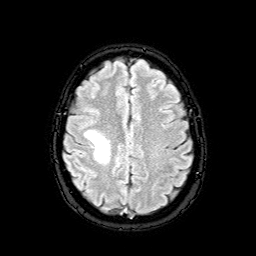
Q: What kind of scan is this?
A: 3 Tesla brain MRI.
Q: Series?
A: FLAIR with SPAIR.
Study: ring-enhancing brain masses.